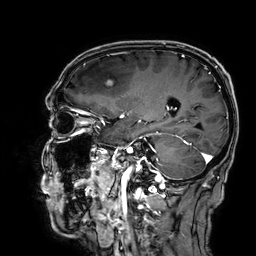
modality = 3 Tesla brain MRI
series = 3D T1-weighted
study = ring-enhancing brain masses